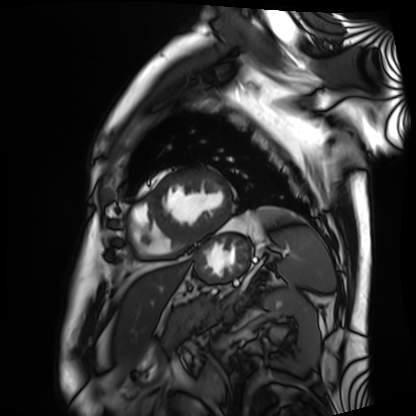
Cardiac MRI. Subject group: patient.